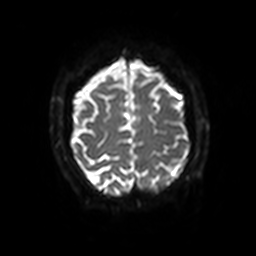
Summary:
3 Tesla brain MRI. Study: ring-enhancing brain masses.